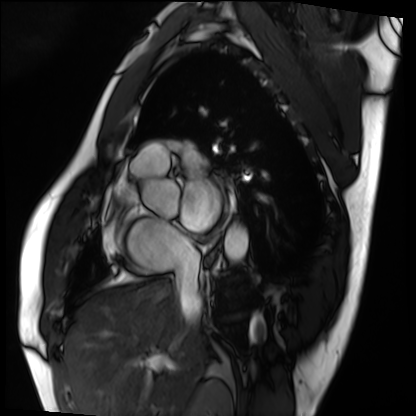
Q: What kind of scan is this?
A: Cardiac MRI.
Subject group: patient.